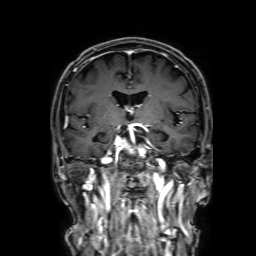
modality = 3 Tesla brain MRI
series = 3D T1-weighted with SENSE
study = ring-enhancing brain masses